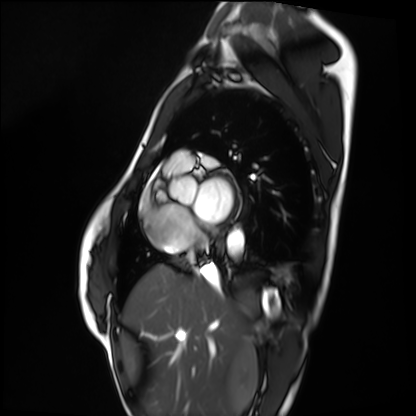
Case:
– modality · cardiac MRI
– subject group · healthy volunteer